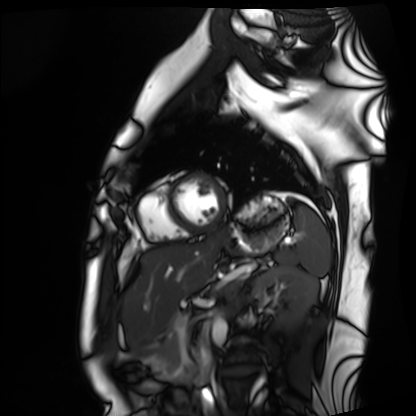
Cardiac MRI. Subject group: healthy volunteer.